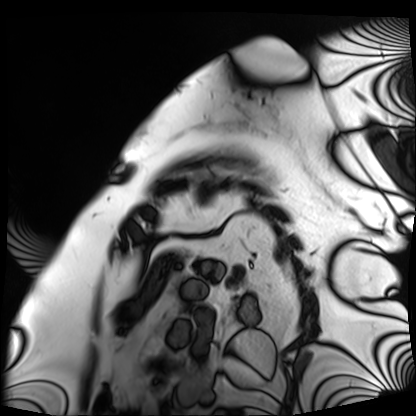
{"modality": "cardiac MRI", "cohort": "patient"}